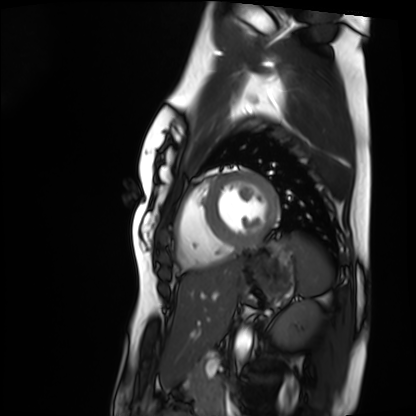
{
  "modality": "cardiac MRI",
  "cohort": "healthy volunteer"
}